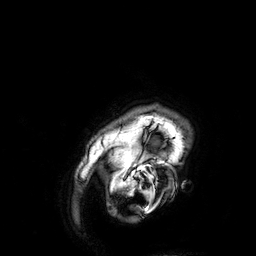
modality=3 Tesla brain MRI
series=3D T1-weighted
study=ring-enhancing brain masses